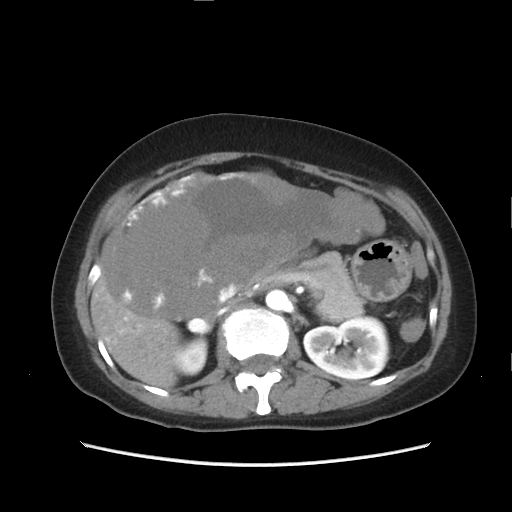
Multiphase abdominal CT, liver, arterial phase.
Patient: female, age 49.